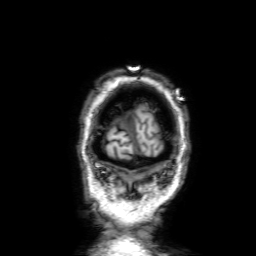
modality — 3 Tesla brain MRI; series — 3D T1-weighted with SENSE; study — ring-enhancing brain masses.